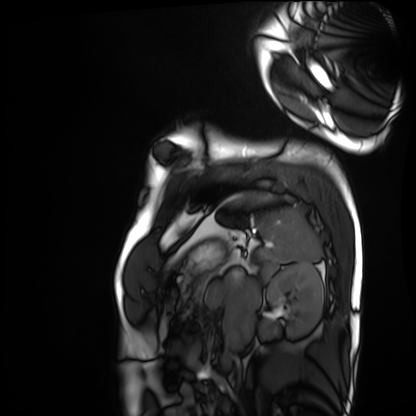
modality: cardiac MRI
cohort: healthy volunteer